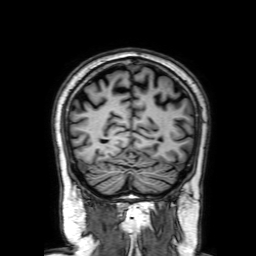
* modality · 3 Tesla brain MRI
* series · 3D T1-weighted with SENSE
* study · ring-enhancing brain masses